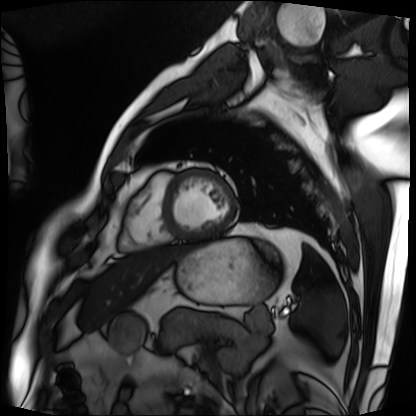
Clinical context: Cardiac MRI. Subject group: patient.